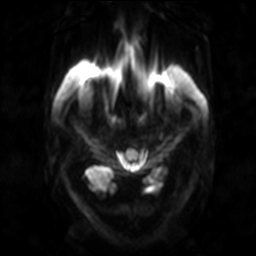
– modality · 3 Tesla brain MRI
– series · diffusion-weighted imaging
– study · ring-enhancing brain masses